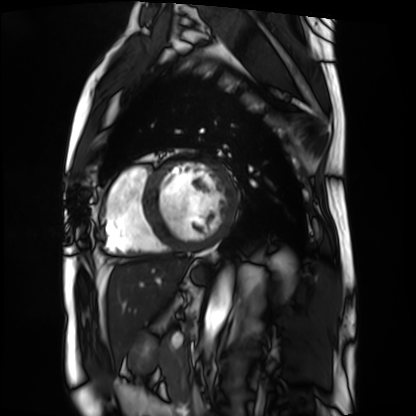
Cardiac MRI. Subject group: patient.